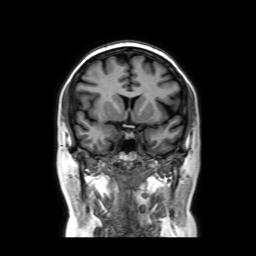
3 Tesla brain MRI. Series: coronal without contrast. Study: ring-enhancing brain masses.